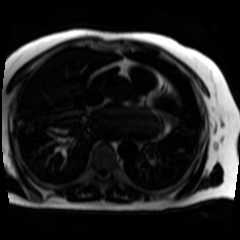
Chemical-shift-encoded cardiac MRI.